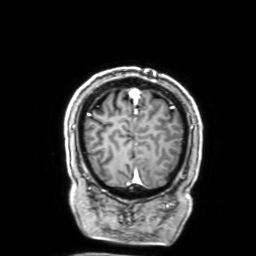
modality = 3 Tesla brain MRI; series = 3D T1-weighted with SENSE; study = ring-enhancing brain masses.